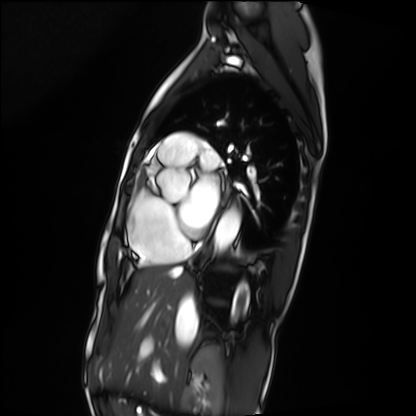
Cardiac MRI.
Subject group: patient.